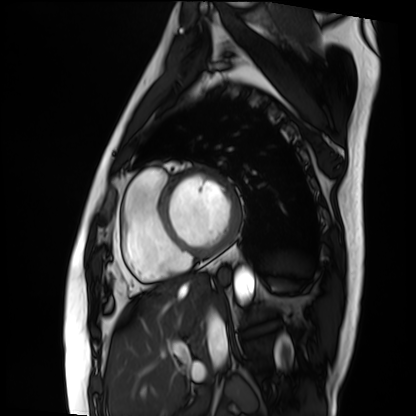
Cardiac MRI.
Subject group: patient.